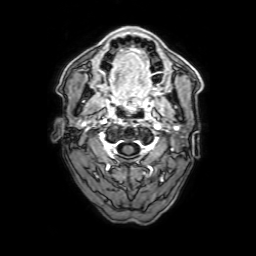
Case summary:
3 Tesla brain MRI. Series: 3D T1-weighted with SENSE. Study: ring-enhancing brain masses.